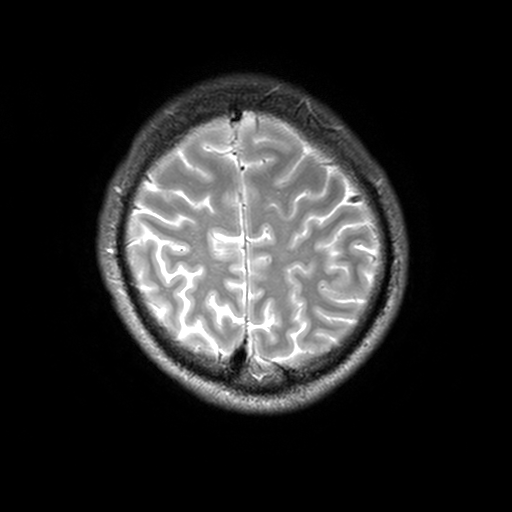
{
  "modality": {
    "type": "brain MRI",
    "field_strength": "3T"
  },
  "series": "T2-weighted turbo spin echo, 3 mm",
  "study_topic": "ring-enhancing brain masses"
}